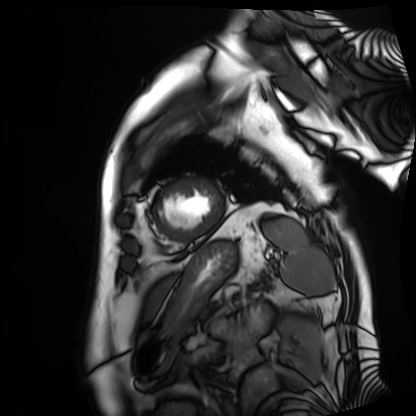
– modality — cardiac MRI
– subject group — patient